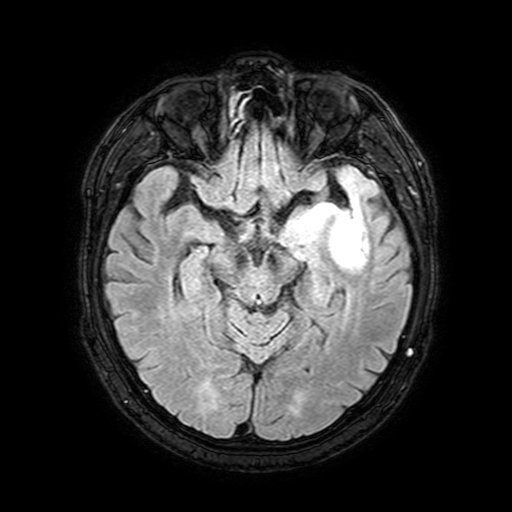
3 Tesla brain MRI. Series: FLAIR with SPAIR, 3 mm. Study: ring-enhancing brain masses.